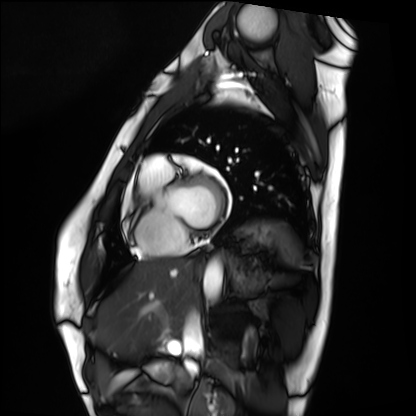
Cardiac MRI. Subject group: healthy volunteer.